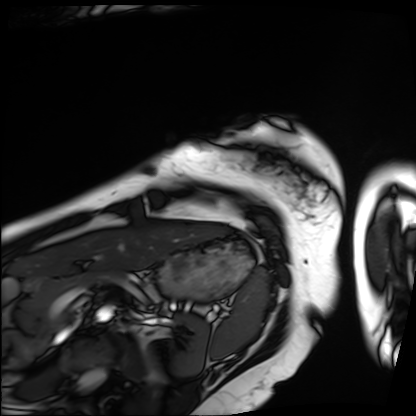
Q: What kind of scan is this?
A: Cardiac MRI.
Subject group: patient.